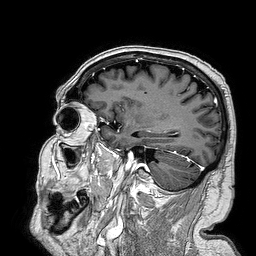
3 Tesla brain MRI.
Series: 3D T1-weighted turbo field echo.
Study: ring-enhancing brain masses.